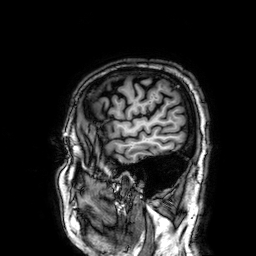
{
  "modality": {
    "type": "brain MRI",
    "field_strength": "3T"
  },
  "series": "3D T1-weighted",
  "study_topic": "ring-enhancing brain masses"
}